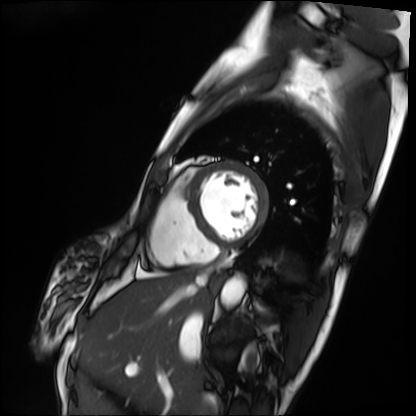
Clinical context:
Cardiac MRI. Subject group: patient.